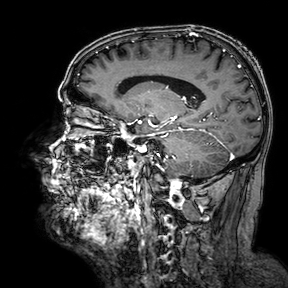
  modality:
    type: brain MRI
    field_strength: 3T
  series: 3D T1-weighted turbo field echo with SENSE
  study_topic: ring-enhancing brain masses